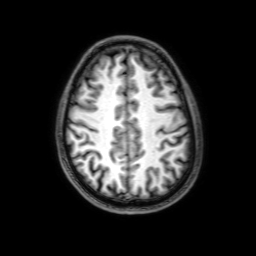
Case:
* modality — 3 Tesla brain MRI
* series — 3D T1-weighted with SENSE
* study — ring-enhancing brain masses